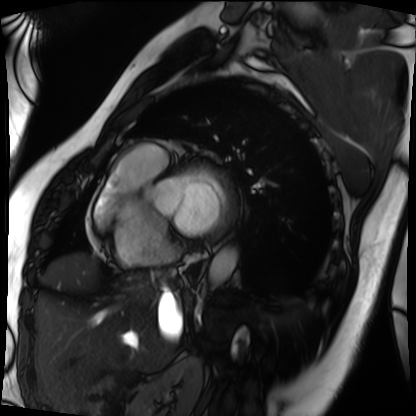
Cardiac MRI. Subject group: patient.